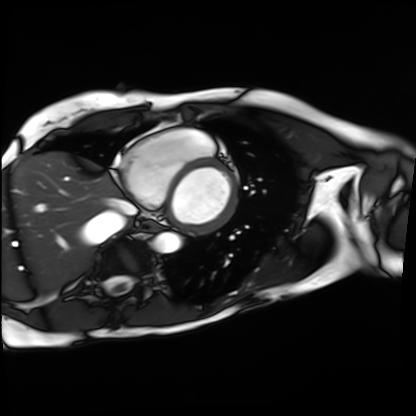
modality: cardiac MRI
cohort: patient